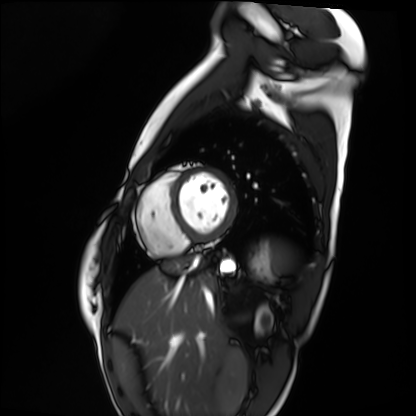
Case:
• modality: cardiac MRI
• subject group: healthy volunteer